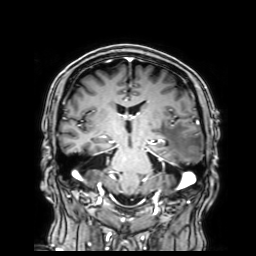
3 Tesla brain MRI.
Series: 3D T1-weighted with SENSE.
Study: ring-enhancing brain masses.